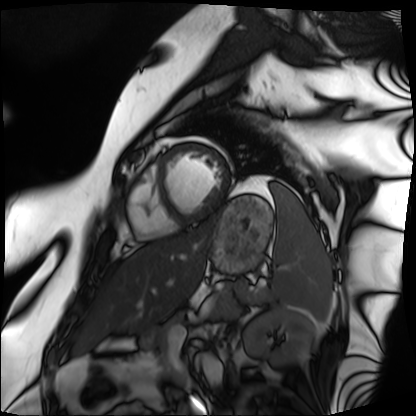
Cardiac MRI.
Subject group: patient.